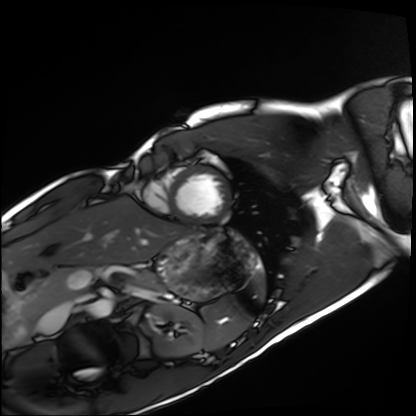
modality: cardiac MRI
subject group: healthy volunteer